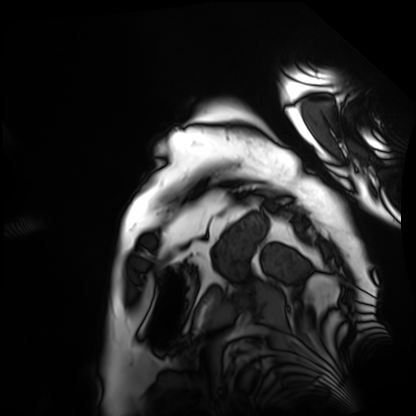
modality: cardiac MRI
cohort: patient